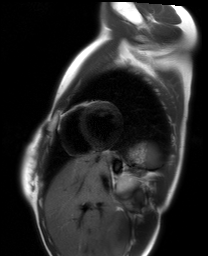
modality — cardiac MRI | subject group — healthy volunteer.